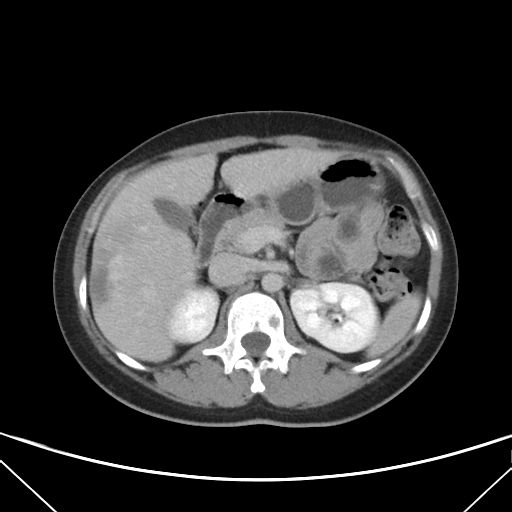
{"modality": {"type": "multiphase abdominal CT", "region": "liver", "phase": "delayed"}, "patient": {"sex": "female", "age": 33}}